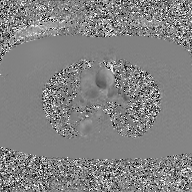
{
  "modality": {
    "type": "2D phase-contrast cine MRI",
    "region": "ascending aorta",
    "reconstruction": "GAN super-resolution reconstruction"
  }
}